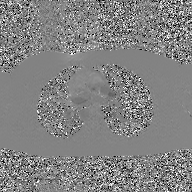
Clinical context:
2D phase-contrast cine MRI of the ascending aorta, GAN super-resolution reconstruction.